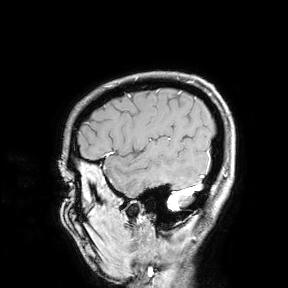
Summary: 3 Tesla brain MRI. Study: ring-enhancing brain masses.